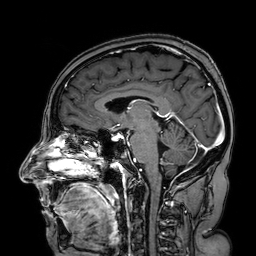
* modality · 3 Tesla brain MRI
* series · 3D T1-weighted turbo field echo with SENSE
* study · ring-enhancing brain masses